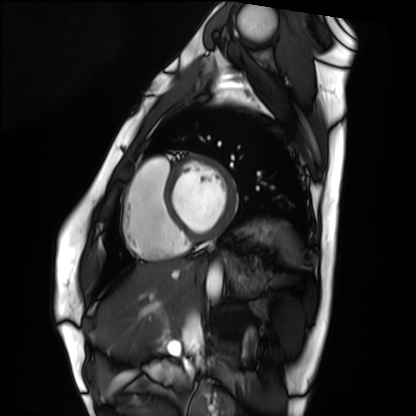
<record>
  <modality>cardiac MRI</modality>
  <cohort>healthy volunteer</cohort>
</record>